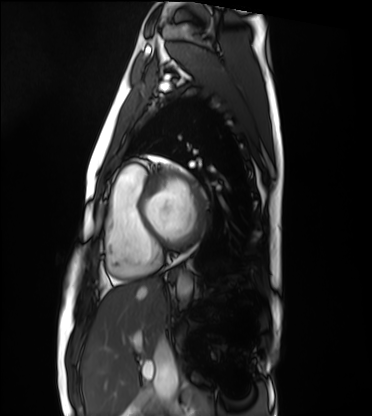
modality = cardiac MRI, subject group = healthy volunteer.